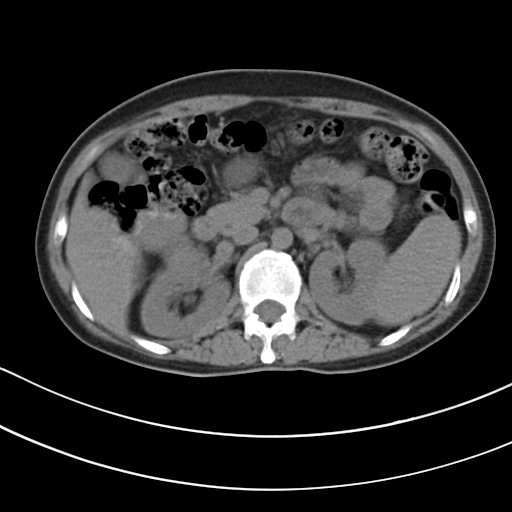
Summary:
Multiphase abdominal CT, liver, non-contrast phase. Patient: female, age 42.